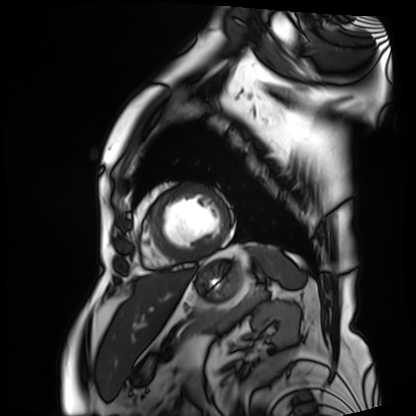
<case>
<modality>cardiac MRI</modality>
<cohort>patient</cohort>
</case>